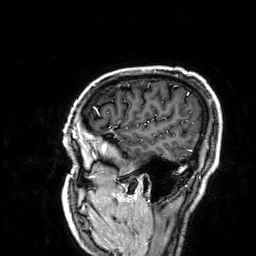
3 Tesla brain MRI. Series: 3D T1-weighted. Study: ring-enhancing brain masses.